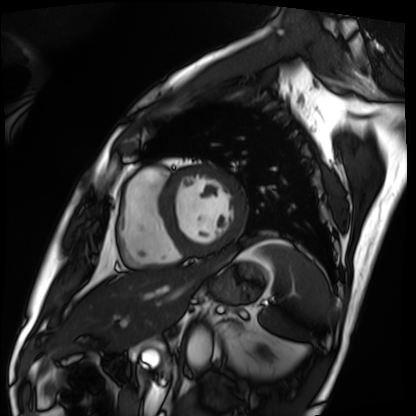
{
  "modality": "cardiac MRI",
  "cohort": "patient"
}